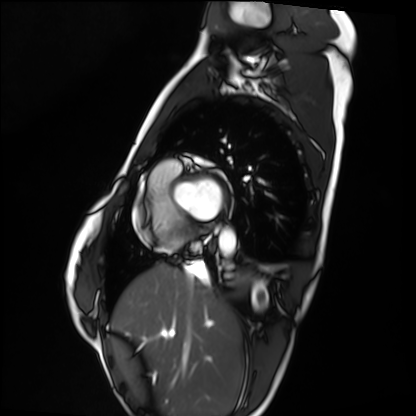
Summary:
Cardiac MRI. Subject group: healthy volunteer.